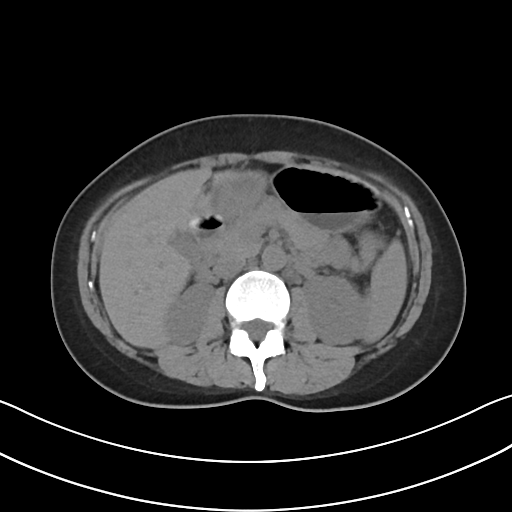
Multiphase abdominal CT, liver, non-contrast phase. Patient: female, age 37.